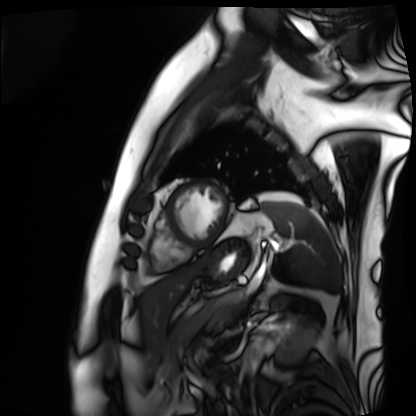
Case summary: Cardiac MRI. Subject group: patient.